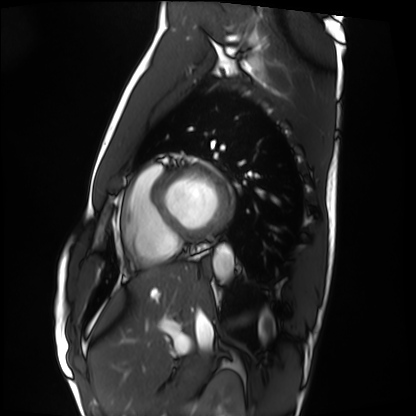
| field | value |
|---|---|
| modality | cardiac MRI |
| subject group | healthy volunteer |